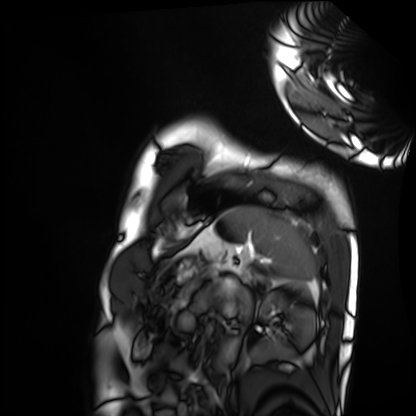
* modality: cardiac MRI
* subject group: healthy volunteer